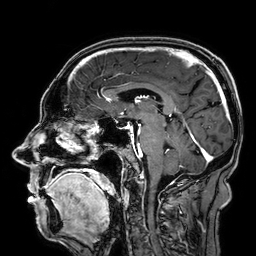
3 Tesla brain MRI.
Series: 3D T1-weighted.
Study: ring-enhancing brain masses.